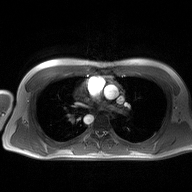
2D phase-contrast cine MRI of the ascending aorta, high-resolution GRAPPA acquisition.